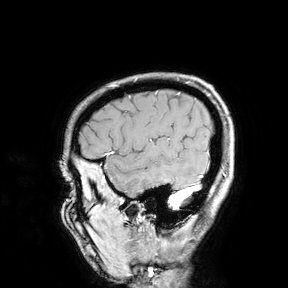
Summary:
3 Tesla brain MRI. Study: ring-enhancing brain masses.